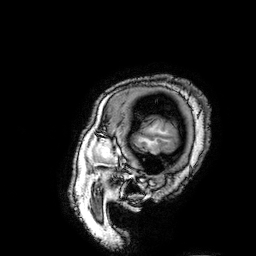
modality = 3 Tesla brain MRI | series = 3D T1-weighted turbo field echo with SENSE | study = ring-enhancing brain masses.